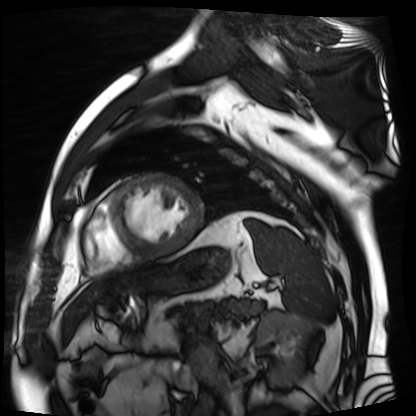
Summary:
Cardiac MR image of the myocardium. Subject cohort: cardiac patient.